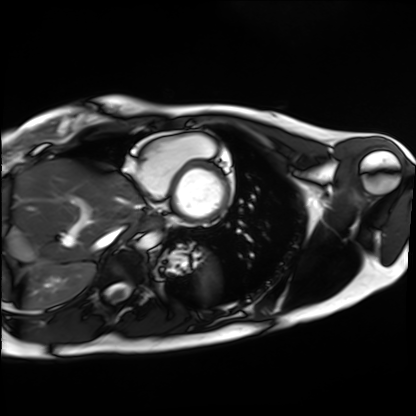
Case summary:
Cardiac MRI. Subject group: healthy volunteer.